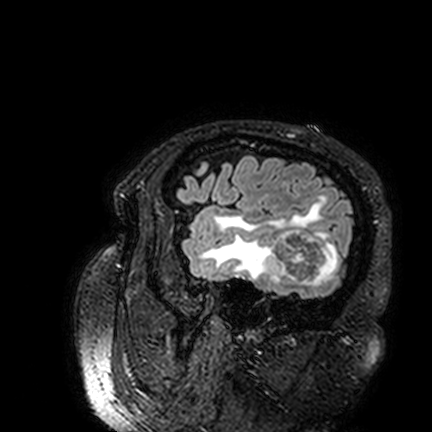
modality: 3 Tesla brain MRI
series: FLAIR VISTA
study: ring-enhancing brain masses